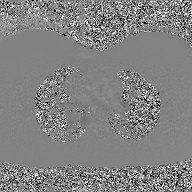
2D phase-contrast cine MRI of the ascending aorta, GAN super-resolution reconstruction.